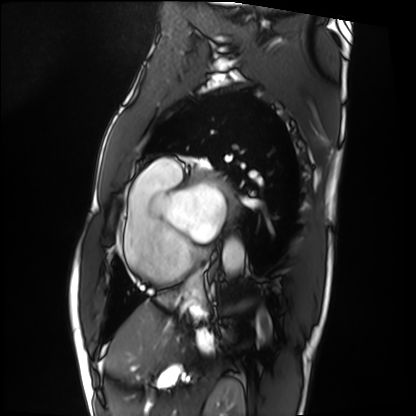
Cardiac MRI. Subject group: patient.